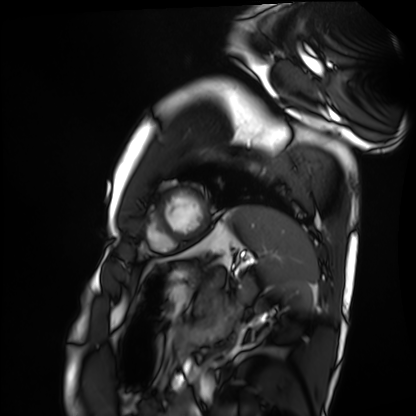
Cardiac MRI.
Subject group: healthy volunteer.